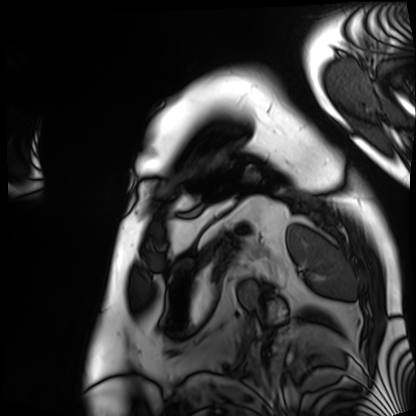
Cardiac MRI.
Subject group: patient.